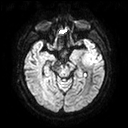
Summary:
3 Tesla brain MRI. Series: diffusion tensor imaging (medium iso). Study: ring-enhancing brain masses.